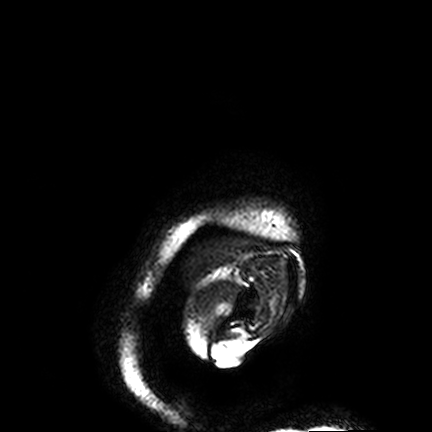
3 Tesla brain MRI. Series: FLAIR VISTA. Study: ring-enhancing brain masses.